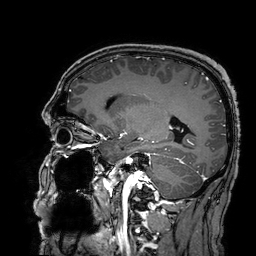
modality: 3 Tesla brain MRI; series: 3D T1-weighted turbo field echo with SENSE; study: ring-enhancing brain masses.